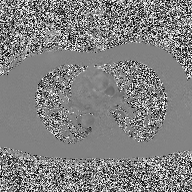
Summary:
2D phase-contrast cine MRI of the ascending aorta, high-resolution GRAPPA acquisition.